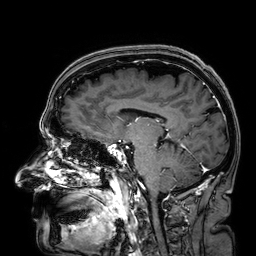
Case summary: 3 Tesla brain MRI. Series: 3D T1-weighted. Study: ring-enhancing brain masses.